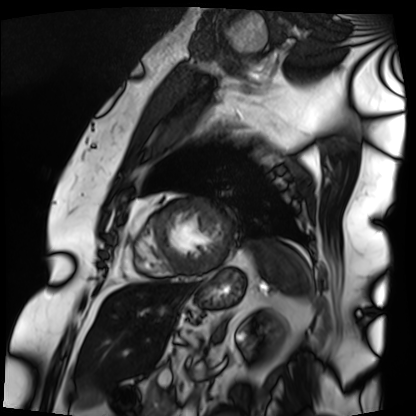
Cardiac MRI. Subject group: patient.